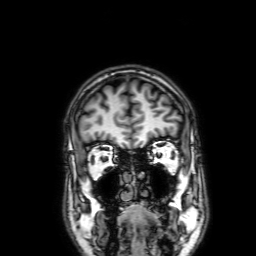
3 Tesla brain MRI.
Series: 3D T1-weighted with SENSE.
Study: ring-enhancing brain masses.